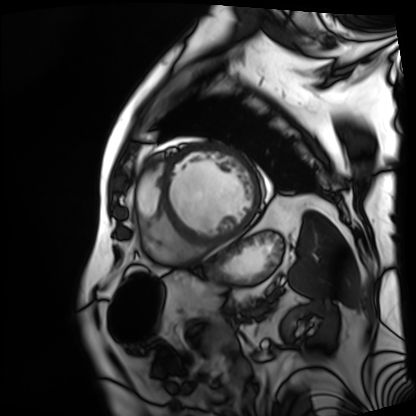
Cardiac MRI.
Subject group: patient.